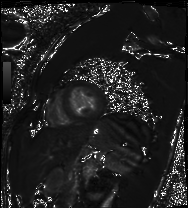
Cardiac MRI.
Subject group: healthy volunteer.